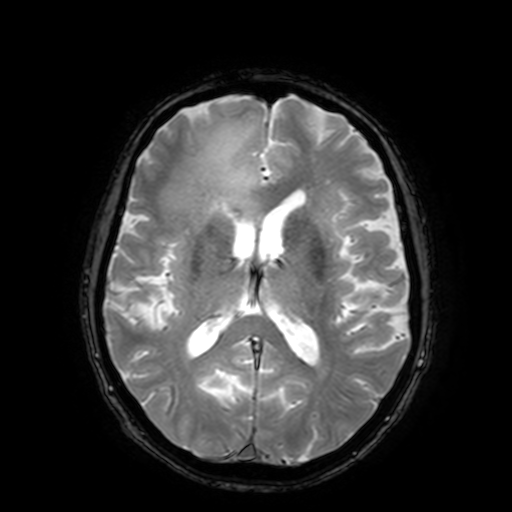
- modality · 3 Tesla brain MRI
- study · ring-enhancing brain masses